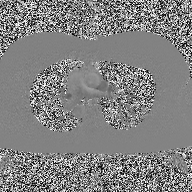
<study>
  <modality>
    <type>2D phase-contrast cine MRI</type>
    <region>ascending aorta</region>
    <reconstruction>high-resolution GRAPPA acquisition</reconstruction>
  </modality>
</study>